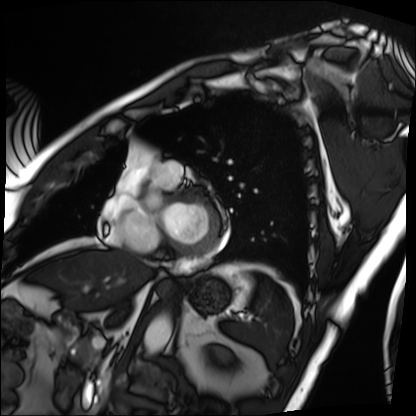
Case summary:
Cardiac MRI. Subject group: patient.